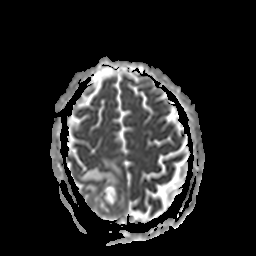
3 Tesla brain MRI.
Series: apparent diffusion coefficient (ADC) map.
Study: ring-enhancing brain masses.